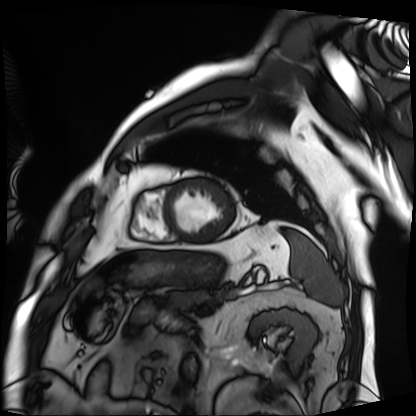
Cardiac MRI. Subject group: patient.